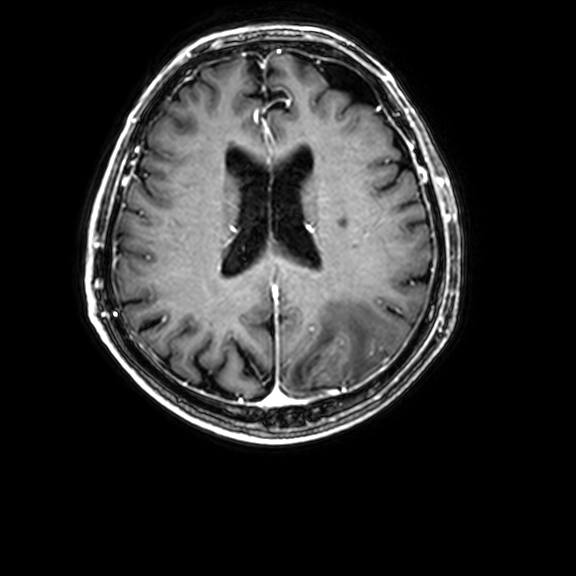
modality=3 Tesla brain MRI | series=3D T1-weighted with CLEAR | study=ring-enhancing brain masses.